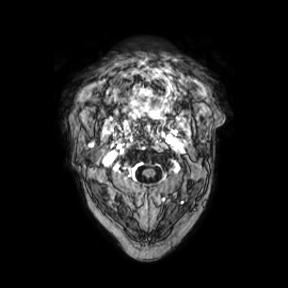
Summary:
3 Tesla brain MRI. Series: axial. Study: ring-enhancing brain masses.